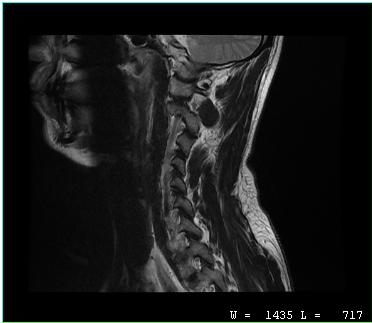
modality=MRI of the cervical spine
study=cervical spondylosis